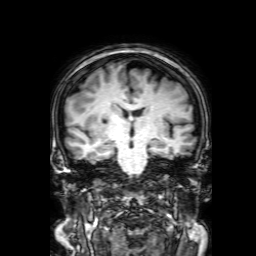
3 Tesla brain MRI.
Series: 3D T1-weighted with SENSE.
Study: ring-enhancing brain masses.